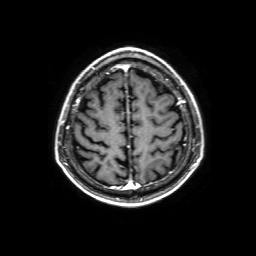
  modality:
    type: brain MRI
    field_strength: 3T
  series: 3D T1-weighted with SENSE
  study_topic: ring-enhancing brain masses